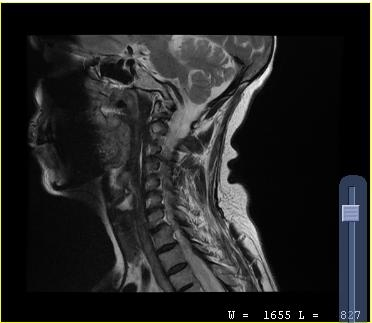
Q: What kind of scan is this?
A: MRI of the cervical spine.
Study: cervical spondylosis.